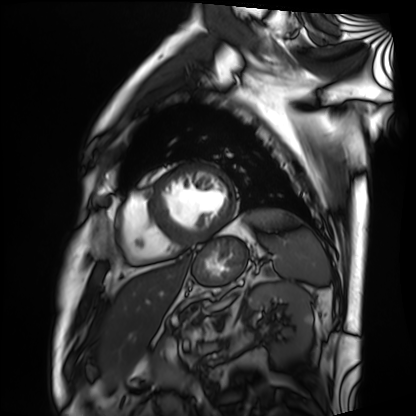
Cardiac MRI. Subject group: patient.